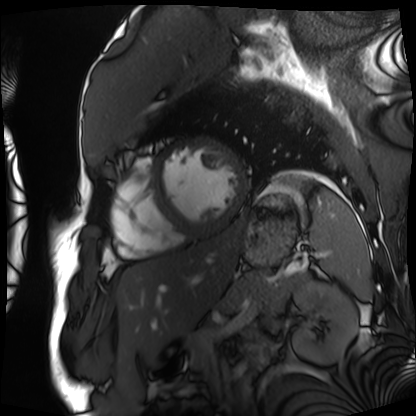
modality: cardiac MRI; subject group: patient.